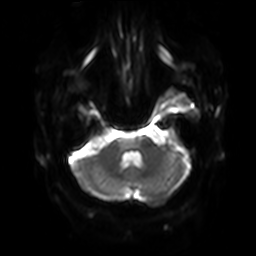
3 Tesla brain MRI.
Series: diffusion-weighted imaging with SENSE (WIP).
Study: ring-enhancing brain masses.